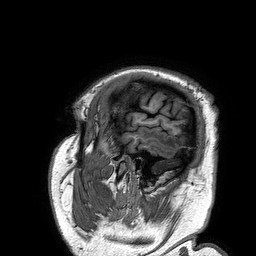
3 Tesla brain MRI.
Series: 3D T1-weighted turbo field echo.
Study: ring-enhancing brain masses.